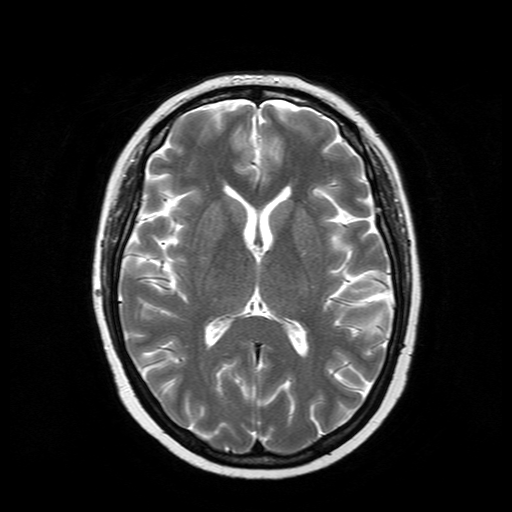
3 Tesla brain MRI. Series: T2-weighted turbo spin echo. Study: ring-enhancing brain masses.